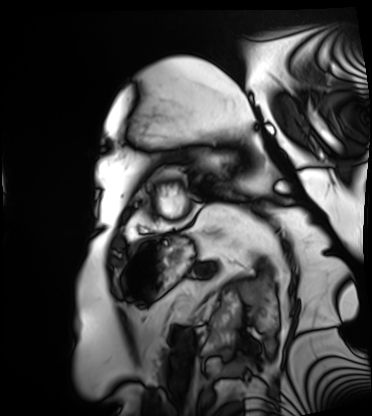
Summary:
Cardiac MRI. Subject group: patient.